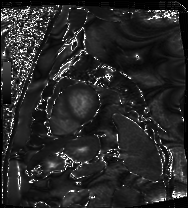
{"modality": "cardiac MRI", "cohort": "patient"}